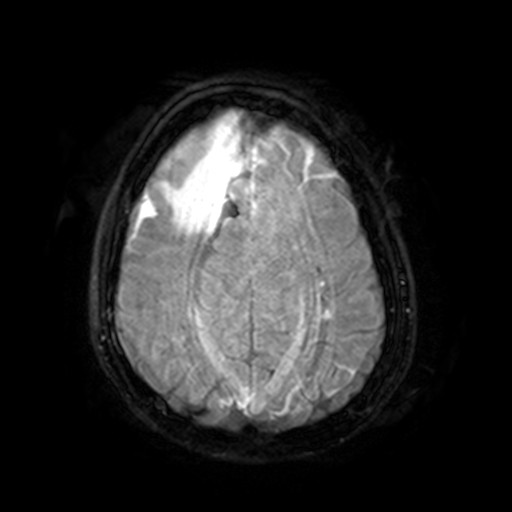
modality = 3 Tesla brain MRI
series = FLAIR with SPAIR, 3 mm
study = ring-enhancing brain masses